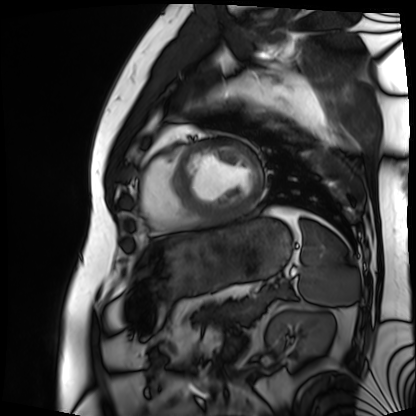
Summary: Cardiac MRI. Subject group: patient.